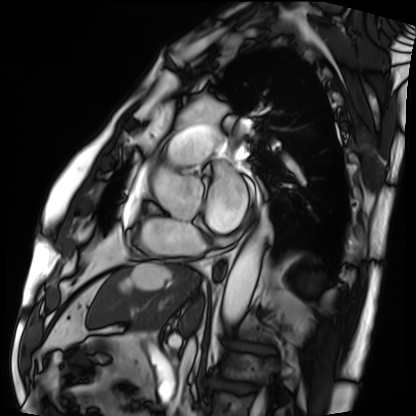
Cardiac MRI. Subject group: patient.